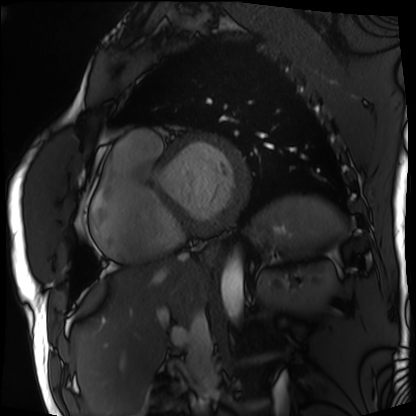
Summary:
Cardiac MRI. Subject group: patient.